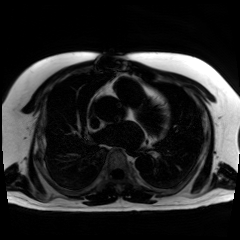
Summary: Chemical-shift-encoded cardiac MRI.